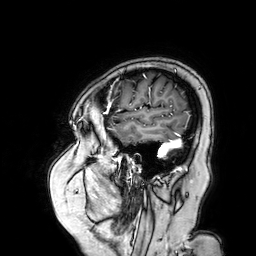
Case:
• modality · 3 Tesla brain MRI
• series · 3D T1-weighted turbo field echo with SENSE
• study · ring-enhancing brain masses